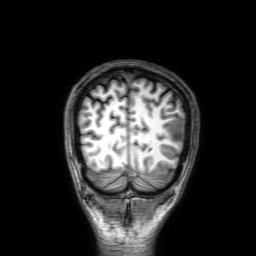
Case:
– modality: 3 Tesla brain MRI
– series: 3D T1-weighted with SENSE
– study: ring-enhancing brain masses